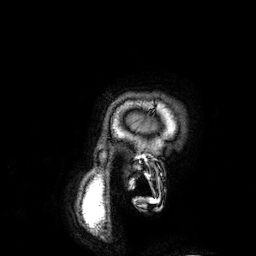
modality=3 Tesla brain MRI; series=3D T1-weighted; study=ring-enhancing brain masses.